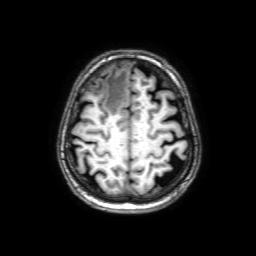
3 Tesla brain MRI.
Series: 3D T1-weighted with SENSE.
Study: ring-enhancing brain masses.